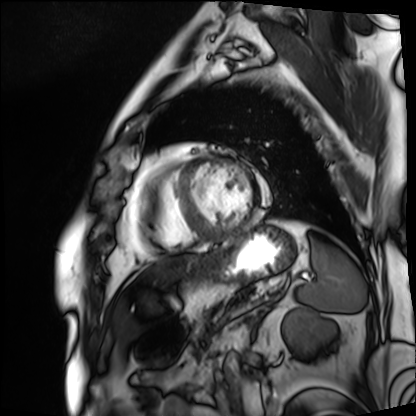
– modality — cardiac MRI
– subject group — patient